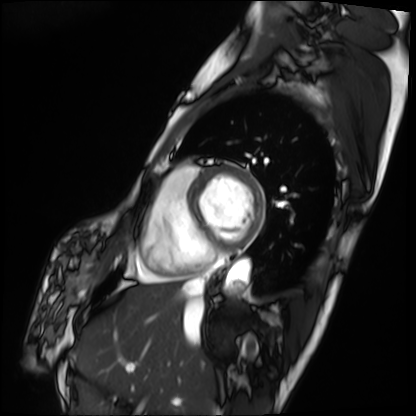
Case summary: Cardiac MRI. Subject group: patient.